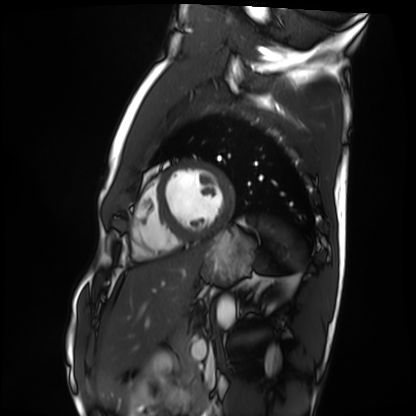
Cardiac MRI.
Subject group: healthy volunteer.